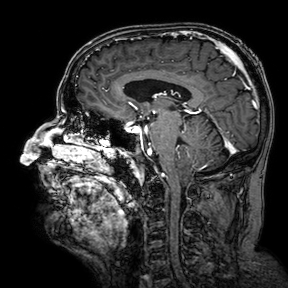
modality: 3 Tesla brain MRI; series: 3D T1-weighted turbo field echo with SENSE; study: ring-enhancing brain masses.